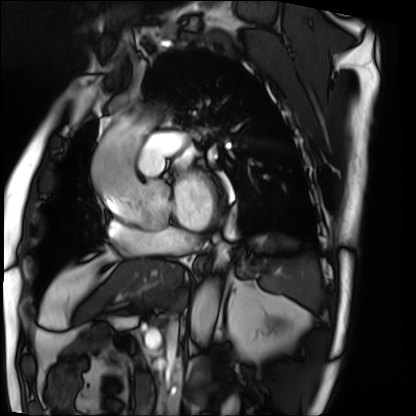
Q: What kind of scan is this?
A: Cardiac MRI.
Subject group: patient.